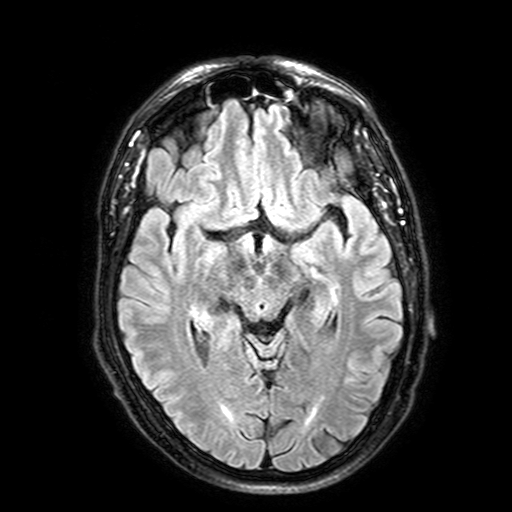
3 Tesla brain MRI.
Series: FLAIR with SPAIR, 3 mm.
Study: ring-enhancing brain masses.